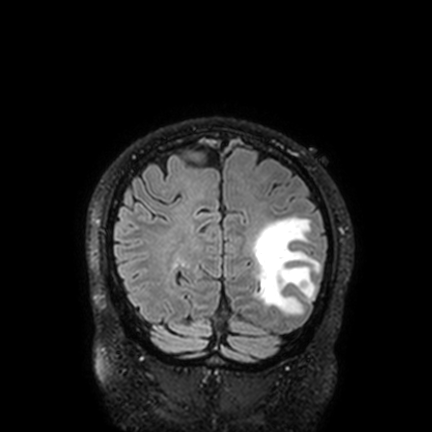
Q: What kind of scan is this?
A: 3 Tesla brain MRI.
Q: Series?
A: FLAIR VISTA with SENSE.
Study: ring-enhancing brain masses.